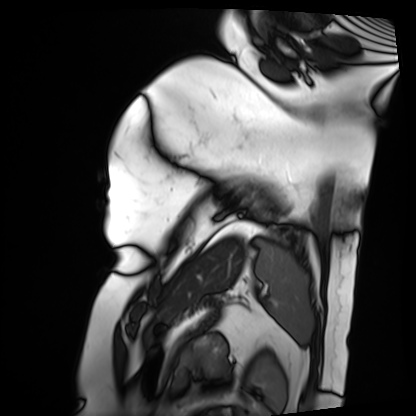
- modality: cardiac MRI
- subject group: patient